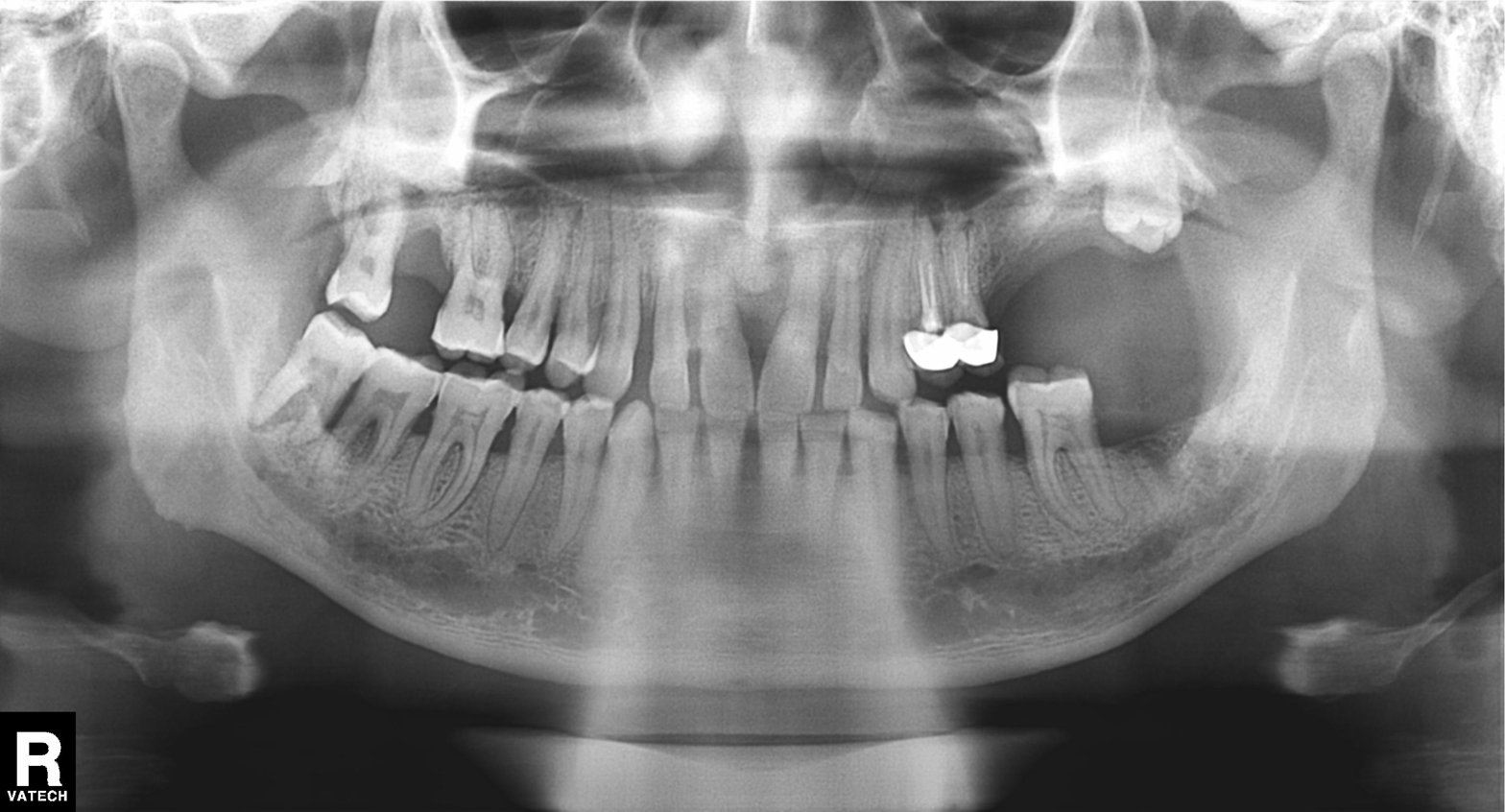
| feature | finding |
|---|---|
| modality | panoramic dental radiograph (orthopantomogram) |
| finding | dental caries (cavities) |